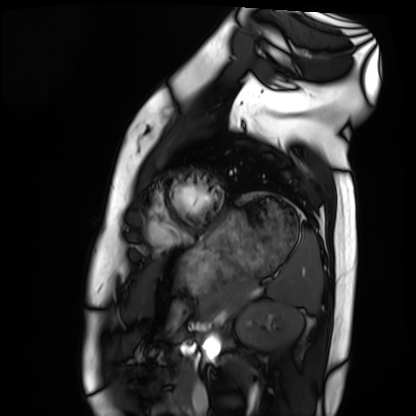
Cardiac MRI. Subject group: healthy volunteer.